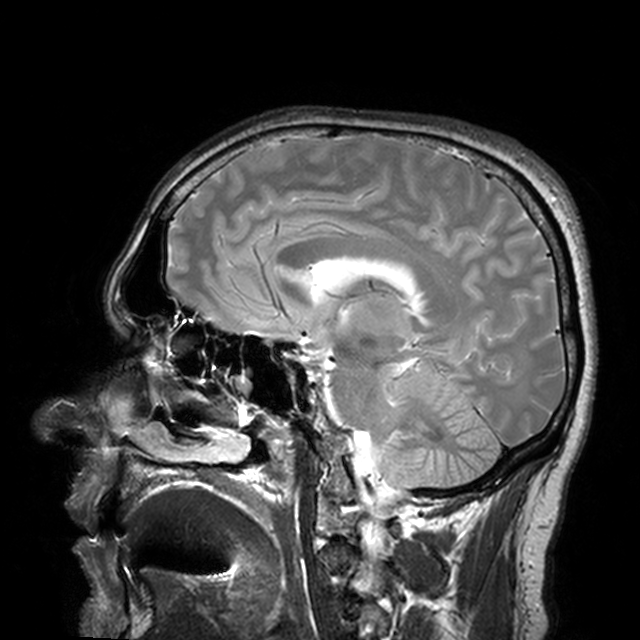
3 Tesla brain MRI.
Series: T2-weighted turbo spin echo with CLEAR.
Study: ring-enhancing brain masses.